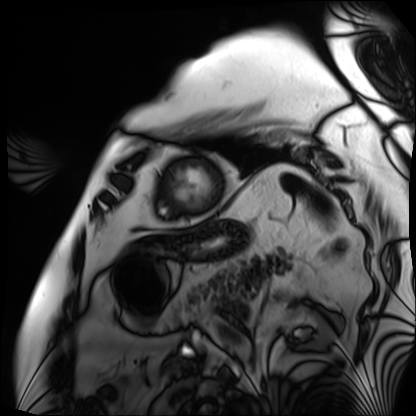
modality: cardiac MRI | subject group: patient.